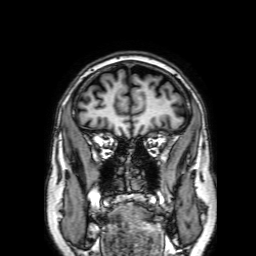
Case summary:
3 Tesla brain MRI. Series: 3D T1-weighted with SENSE. Study: ring-enhancing brain masses.